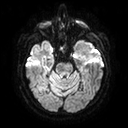
Summary:
3 Tesla brain MRI. Series: diffusion tensor imaging (medium iso). Study: ring-enhancing brain masses.